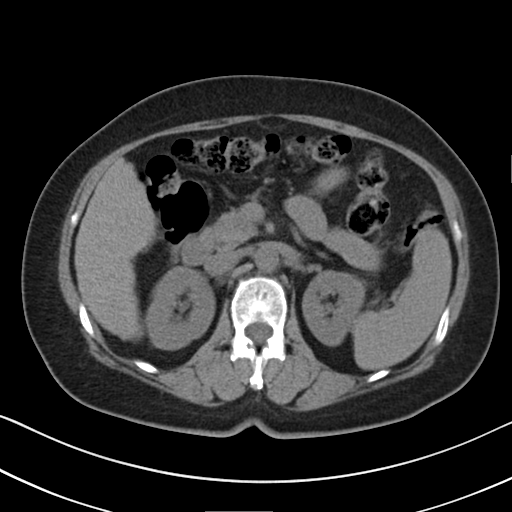
{"modality": {"type": "multiphase abdominal CT", "region": "liver", "phase": "non-contrast"}, "patient": {"sex": "female", "age": 64}, "history": ["cirrhosis", "viral hepatitis"]}